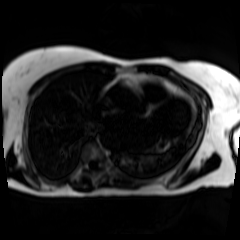
modality — chemical-shift-encoded cardiac MRI.